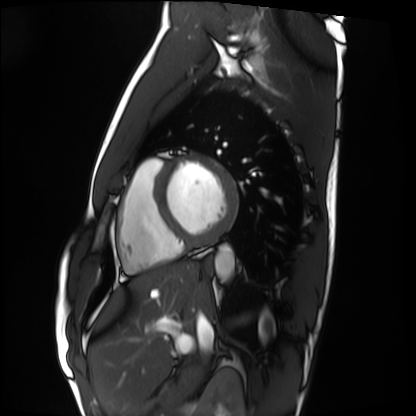
Case:
* modality: cardiac MRI
* subject group: healthy volunteer